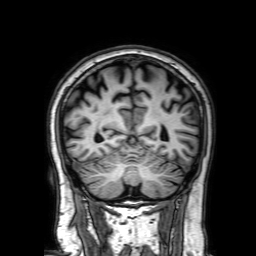
| field | value |
|---|---|
| modality | 3 Tesla brain MRI |
| series | 3D T1-weighted with SENSE |
| study | ring-enhancing brain masses |